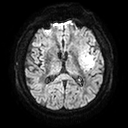
Clinical context:
3 Tesla brain MRI. Series: diffusion tensor imaging (medium iso). Study: ring-enhancing brain masses.